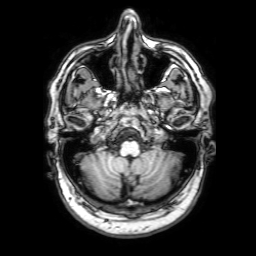
modality = 3 Tesla brain MRI | series = 3D T1-weighted with SENSE | study = ring-enhancing brain masses.